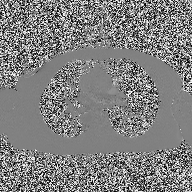
2D phase-contrast cine MRI of the ascending aorta, high-resolution GRAPPA acquisition.